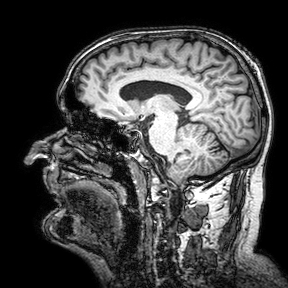
3 Tesla brain MRI. Series: 3D T1-weighted turbo field echo with SENSE. Study: ring-enhancing brain masses.